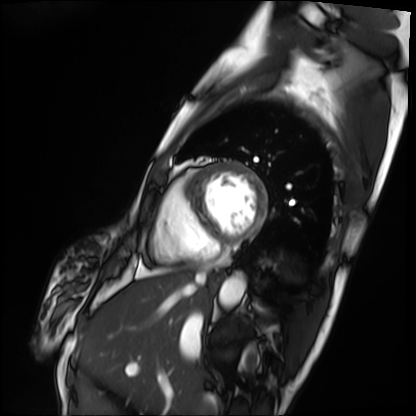
{"modality": "cardiac MRI", "cohort": "patient"}